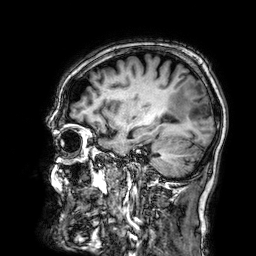
modality: 3 Tesla brain MRI
study: ring-enhancing brain masses